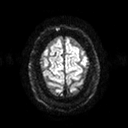
3 Tesla brain MRI.
Series: diffusion tensor imaging (medium iso).
Study: ring-enhancing brain masses.